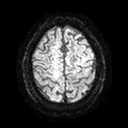
Case:
* modality — 3 Tesla brain MRI
* series — diffusion tensor imaging (medium iso)
* study — ring-enhancing brain masses